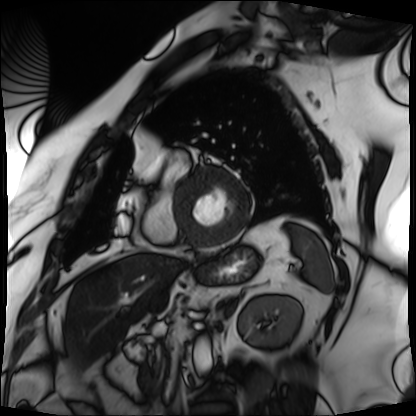
Cardiac MRI.
Subject group: patient.